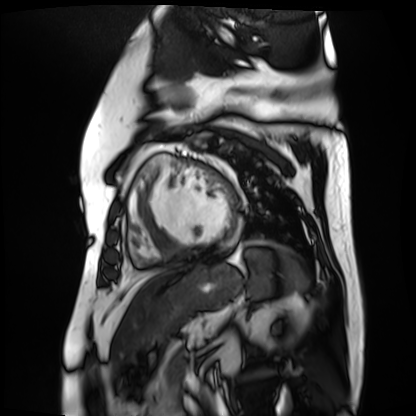
Cardiac MR image of the myocardium.
Subject cohort: cardiac patient.